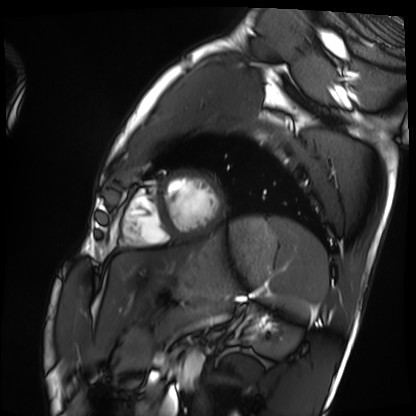
modality = cardiac MRI, subject group = healthy volunteer.